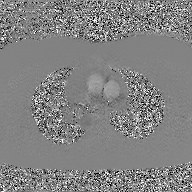
modality = 2D phase-contrast cine MRI of the ascending aorta, GAN super-resolution reconstruction.